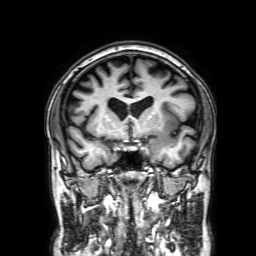
3 Tesla brain MRI.
Series: 3D T1-weighted with SENSE.
Study: ring-enhancing brain masses.